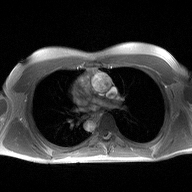
Summary:
2D phase-contrast cine MRI of the ascending aorta, high-resolution GRAPPA acquisition.